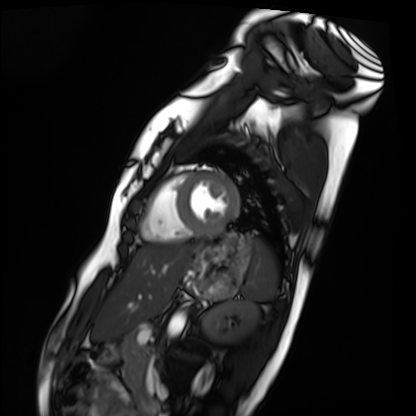
Case summary: Cardiac MRI. Subject group: healthy volunteer.